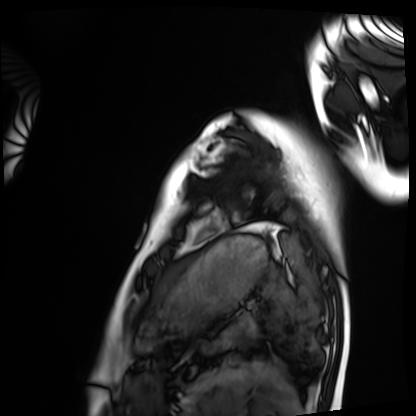
modality: cardiac MRI
subject group: healthy volunteer